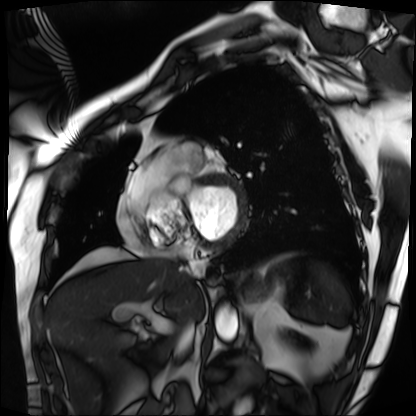
Case summary:
Cardiac MRI. Subject group: patient.